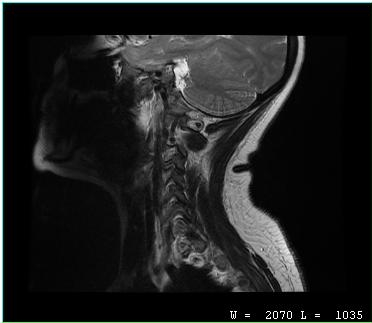
- modality · MRI of the cervical spine
- study · cervical spondylosis